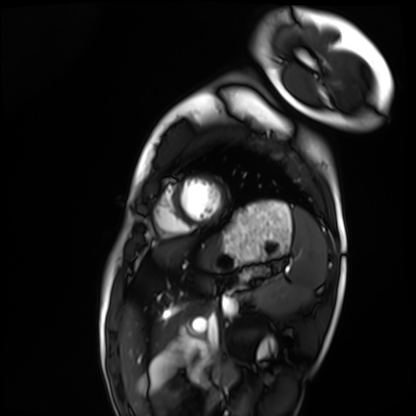
Summary:
Cardiac MRI. Subject group: healthy volunteer.